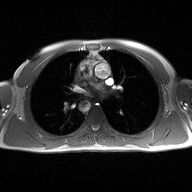
modality=2D phase-contrast cine MRI of the ascending aorta.